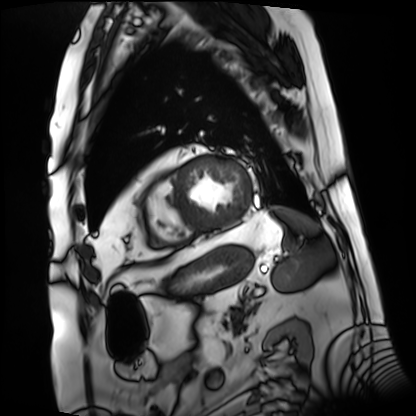
Clinical context:
Cardiac MRI. Subject group: patient.